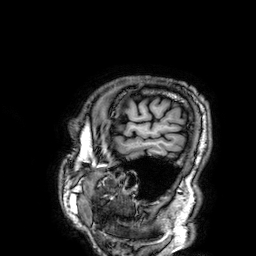
3 Tesla brain MRI. Series: 3D T1-weighted. Study: ring-enhancing brain masses.